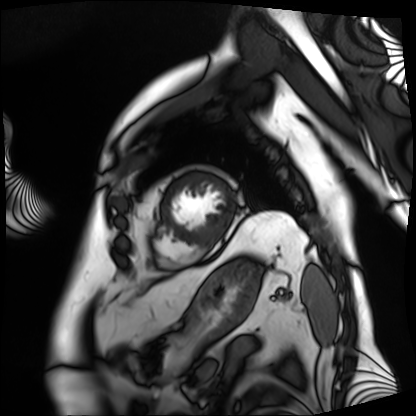
modality = cardiac MRI; subject group = patient.